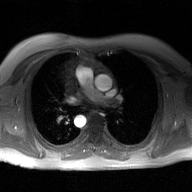
Summary: 2D phase-contrast cine MRI of the ascending aorta, GAN super-resolution reconstruction.